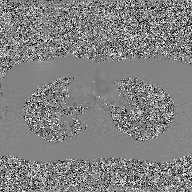
Summary: 2D phase-contrast cine MRI of the ascending aorta, GAN super-resolution reconstruction.